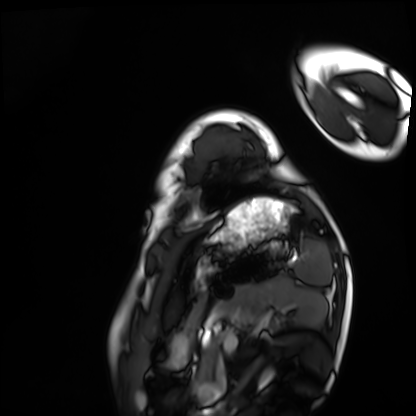
Cardiac MRI.
Subject group: healthy volunteer.